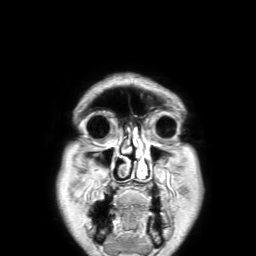
Q: What kind of scan is this?
A: 3 Tesla brain MRI.
Q: Series?
A: 3D T1-weighted TFE with SENSE.
Study: ring-enhancing brain masses.